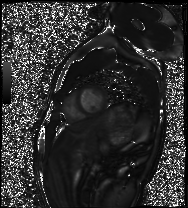
modality: cardiac MRI
subject group: healthy volunteer